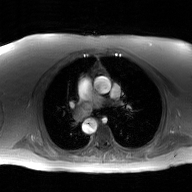
2D phase-contrast cine MRI of the ascending aorta, GAN super-resolution reconstruction.